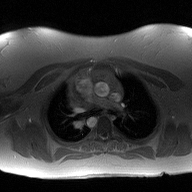
Summary: 2D phase-contrast cine MRI of the ascending aorta, high-resolution GRAPPA acquisition.